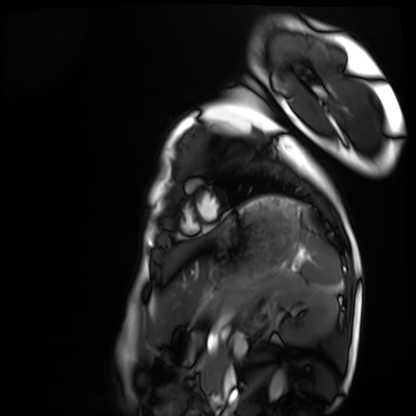
Summary: Cardiac MRI. Subject group: healthy volunteer.